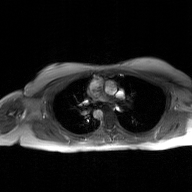
Clinical context: 2D phase-contrast cine MRI of the ascending aorta, GAN super-resolution reconstruction.